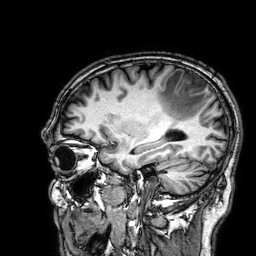
| field | value |
|---|---|
| modality | 3 Tesla brain MRI |
| series | 3D T1-weighted |
| study | ring-enhancing brain masses |